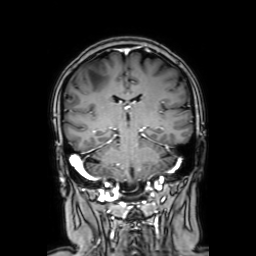
Clinical context:
3 Tesla brain MRI. Series: coronal with contrast. Study: ring-enhancing brain masses.